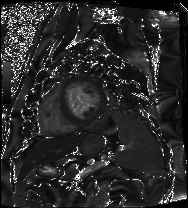
Q: What kind of scan is this?
A: Cardiac MRI.
Subject group: patient.